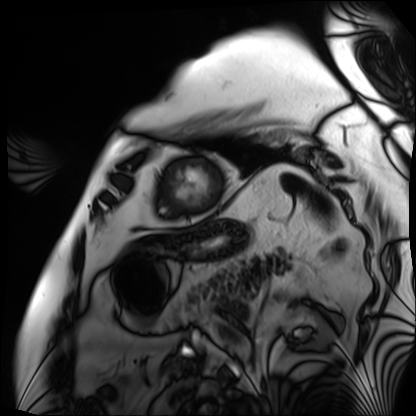
modality: cardiac MRI | subject group: patient.